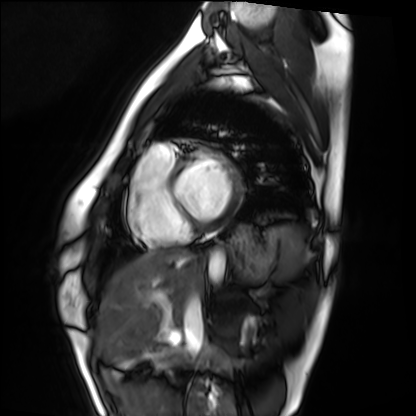
Clinical context: Cardiac MRI. Subject group: healthy volunteer.